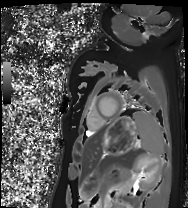
Cardiac MRI. Subject group: healthy volunteer.